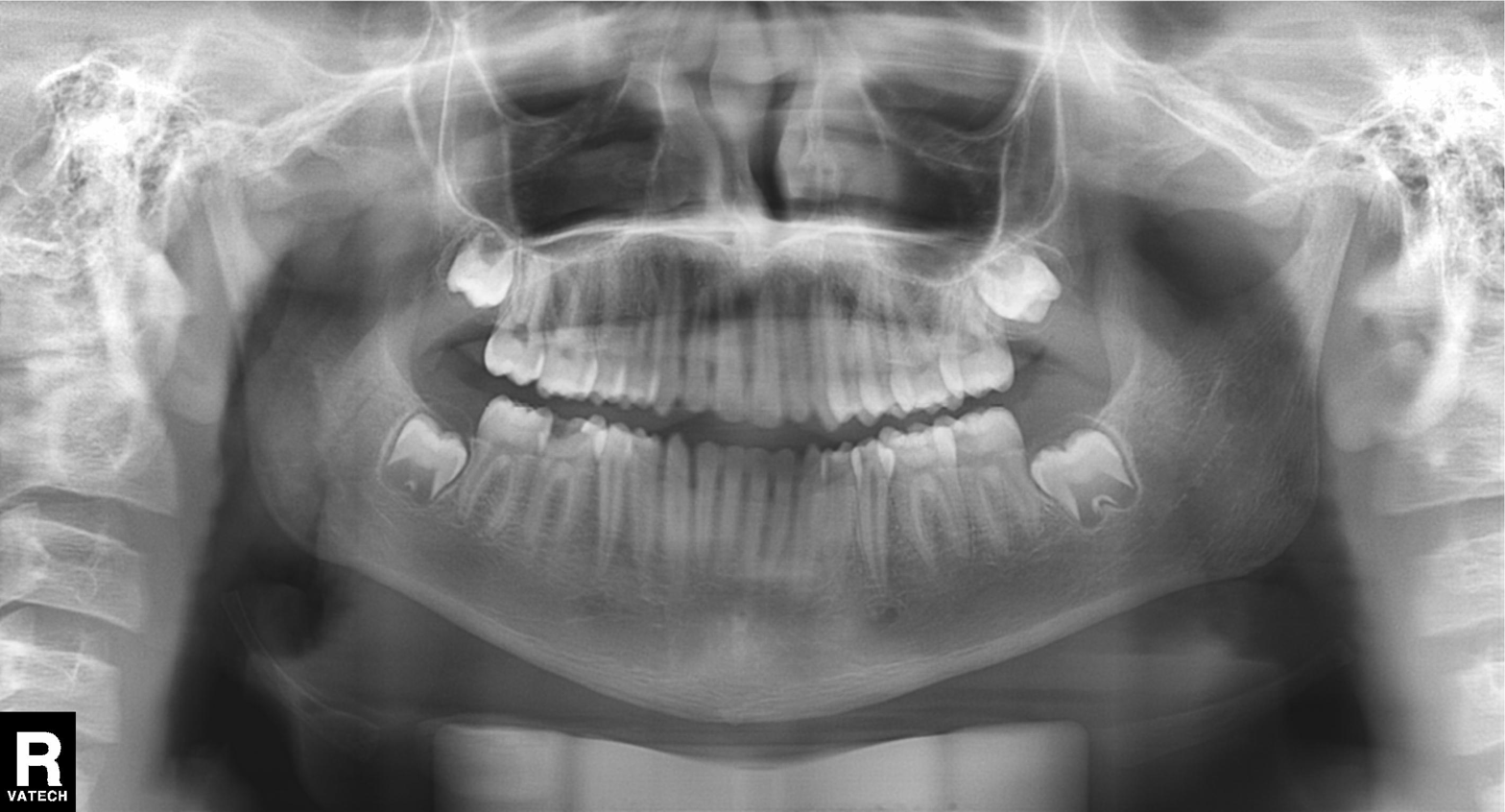
Q: What kind of scan is this?
A: Panoramic dental radiograph (orthopantomogram).
Q: What is the radiographic finding?
A: Tooth impaction.